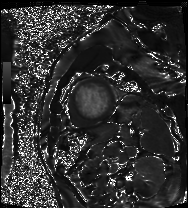
Clinical context:
Cardiac MRI. Subject group: patient.